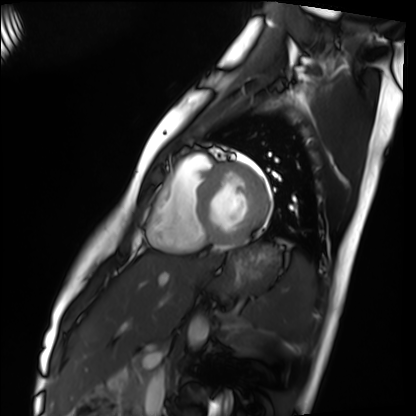
Q: What kind of scan is this?
A: Cardiac MRI.
Subject group: healthy volunteer.